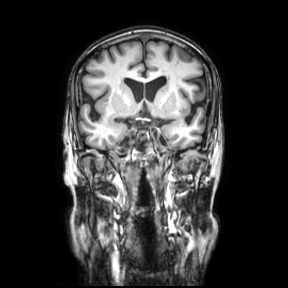
3 Tesla brain MRI. Series: coronal. Study: ring-enhancing brain masses.